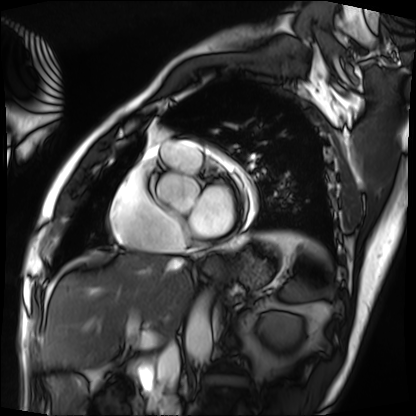
modality = cardiac MRI; subject group = patient.